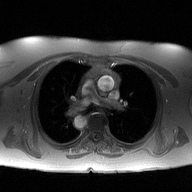
– modality: 2D phase-contrast cine MRI of the ascending aorta